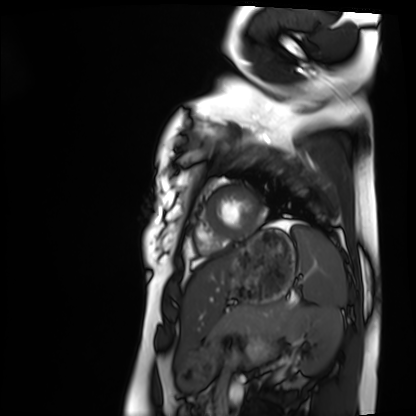
Cardiac MRI. Subject group: healthy volunteer.